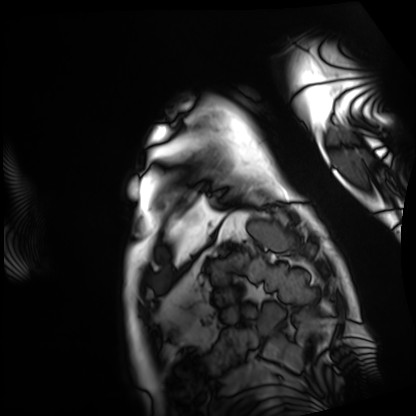
Cardiac MRI. Subject group: patient.